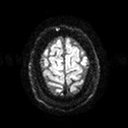
• modality — 3 Tesla brain MRI
• series — diffusion tensor imaging (medium iso)
• study — ring-enhancing brain masses